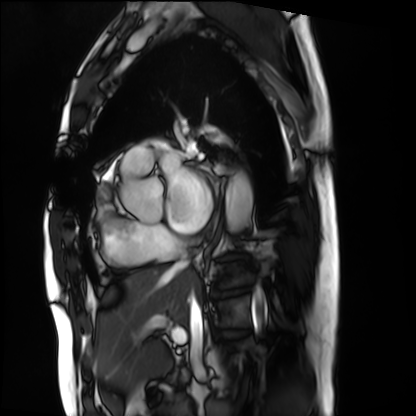
| field | value |
|---|---|
| modality | cardiac MRI |
| subject group | patient |